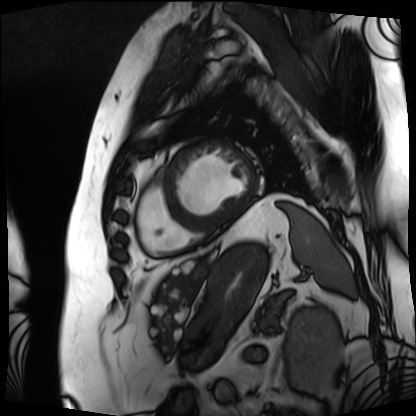
Cardiac MRI.
Subject group: patient.